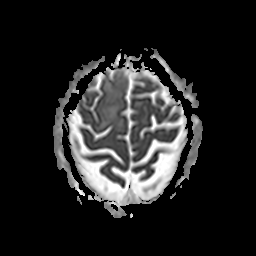
3 Tesla brain MRI. Series: apparent diffusion coefficient (ADC) map. Study: ring-enhancing brain masses.